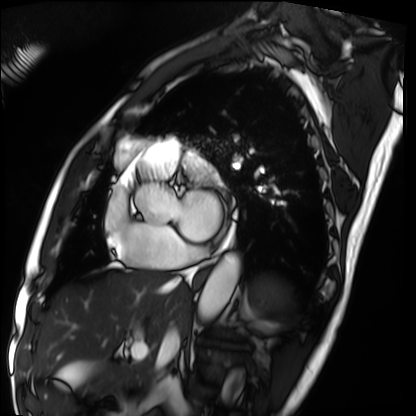
Summary: Cardiac MRI. Subject group: patient.